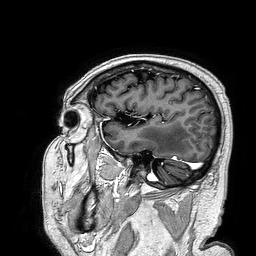
<study>
<modality>
  <type>brain MRI</type>
  <field_strength>3T</field_strength>
</modality>
<series>3D T1-weighted turbo field echo</series>
<study_topic>ring-enhancing brain masses</study_topic>
</study>